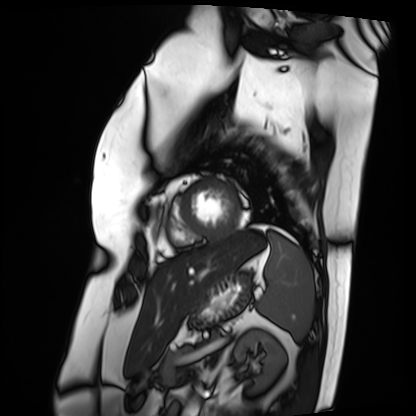
{
  "modality": "cardiac MRI",
  "cohort": "patient"
}